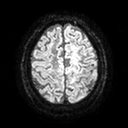
3 Tesla brain MRI. Study: ring-enhancing brain masses.